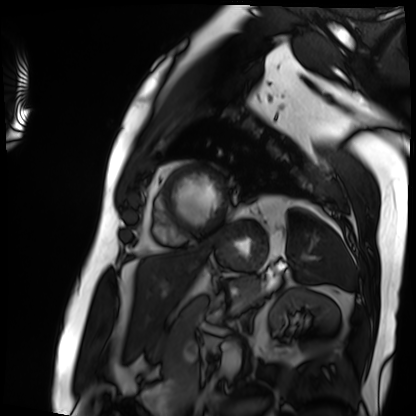
Summary:
Cardiac MRI. Subject group: patient.